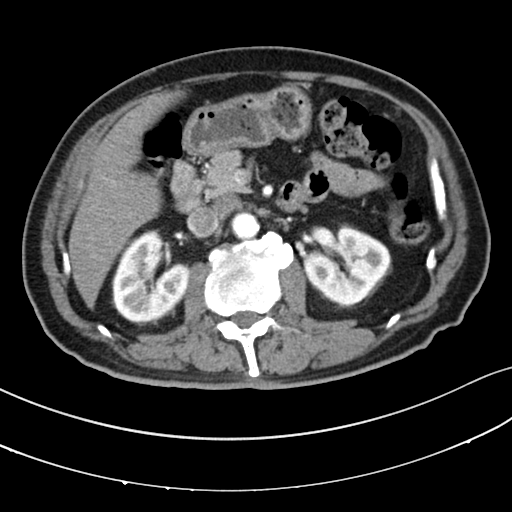
Clinical context: Multiphase abdominal CT, liver, arterial phase. Patient: male, age 64.